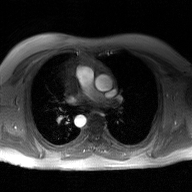
* modality · 2D phase-contrast cine MRI of the ascending aorta, GAN super-resolution reconstruction